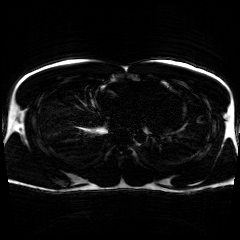
Case summary:
Chemical-shift-encoded cardiac MRI.